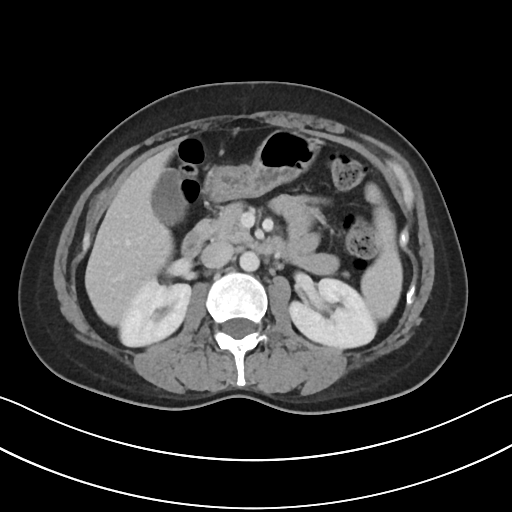
Multiphase abdominal CT, liver, portal venous phase. Patient: female, age 39. History: prior chemotherapy.